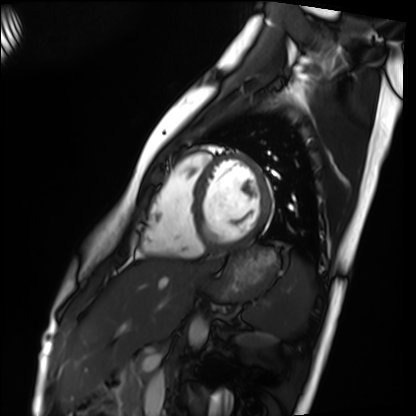
| field | value |
|---|---|
| modality | cardiac MRI |
| subject group | healthy volunteer |